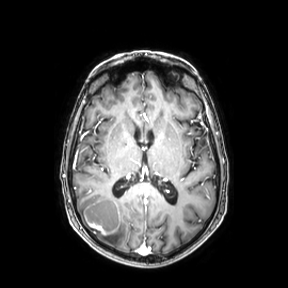
3 Tesla brain MRI. Series: axial. Study: ring-enhancing brain masses.